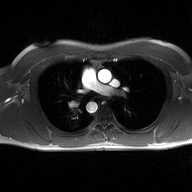
<case>
  <modality>
    <type>2D phase-contrast cine MRI</type>
    <region>ascending aorta</region>
    <reconstruction>high-resolution GRAPPA acquisition</reconstruction>
  </modality>
</case>